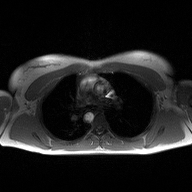
<scan>
  <modality>
    <type>2D phase-contrast cine MRI</type>
    <region>ascending aorta</region>
    <reconstruction>high-resolution GRAPPA acquisition</reconstruction>
  </modality>
</scan>